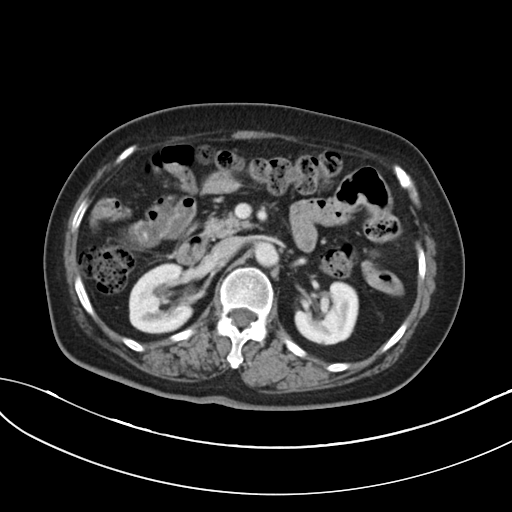
Multiphase abdominal CT, liver, portal venous phase.
Patient: female, age 73.